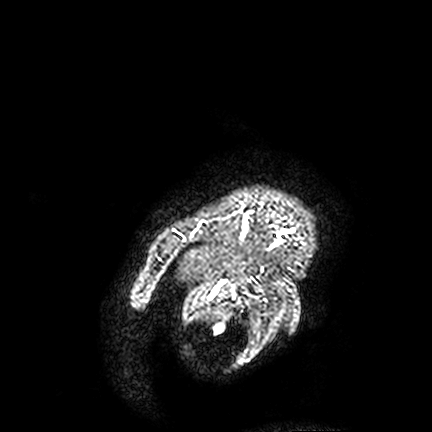
Summary: 3 Tesla brain MRI. Series: FLAIR VISTA. Study: ring-enhancing brain masses.